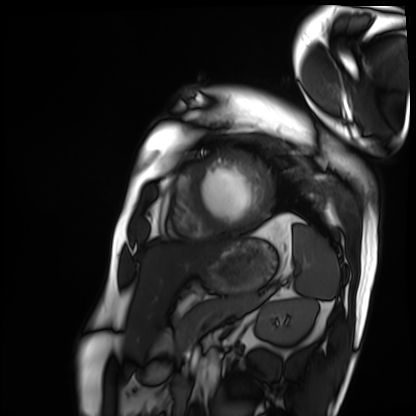
Summary:
Cardiac MRI. Subject group: patient.